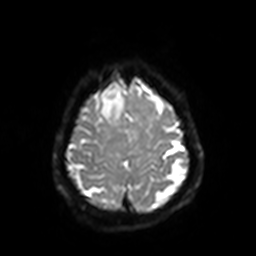
Summary: 3 Tesla brain MRI. Series: diffusion-weighted imaging with SENSE (WIP). Study: ring-enhancing brain masses.